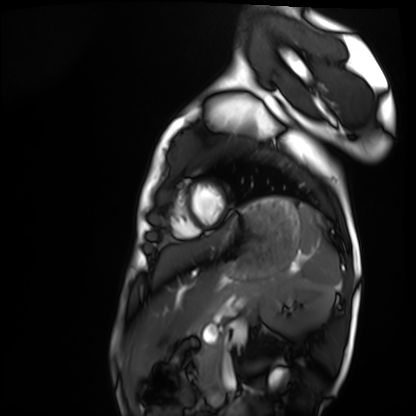
Summary: Cardiac MRI. Subject group: healthy volunteer.